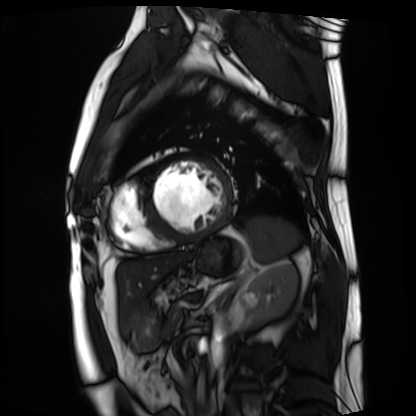
  modality: cardiac MRI
  cohort: patient